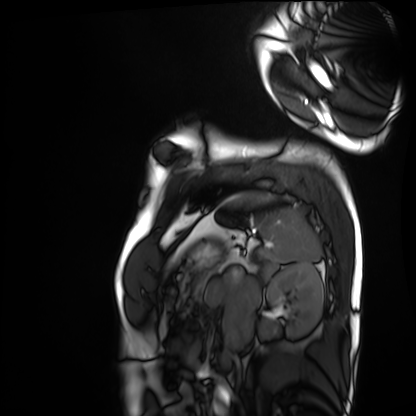
- modality — cardiac MRI
- subject group — healthy volunteer